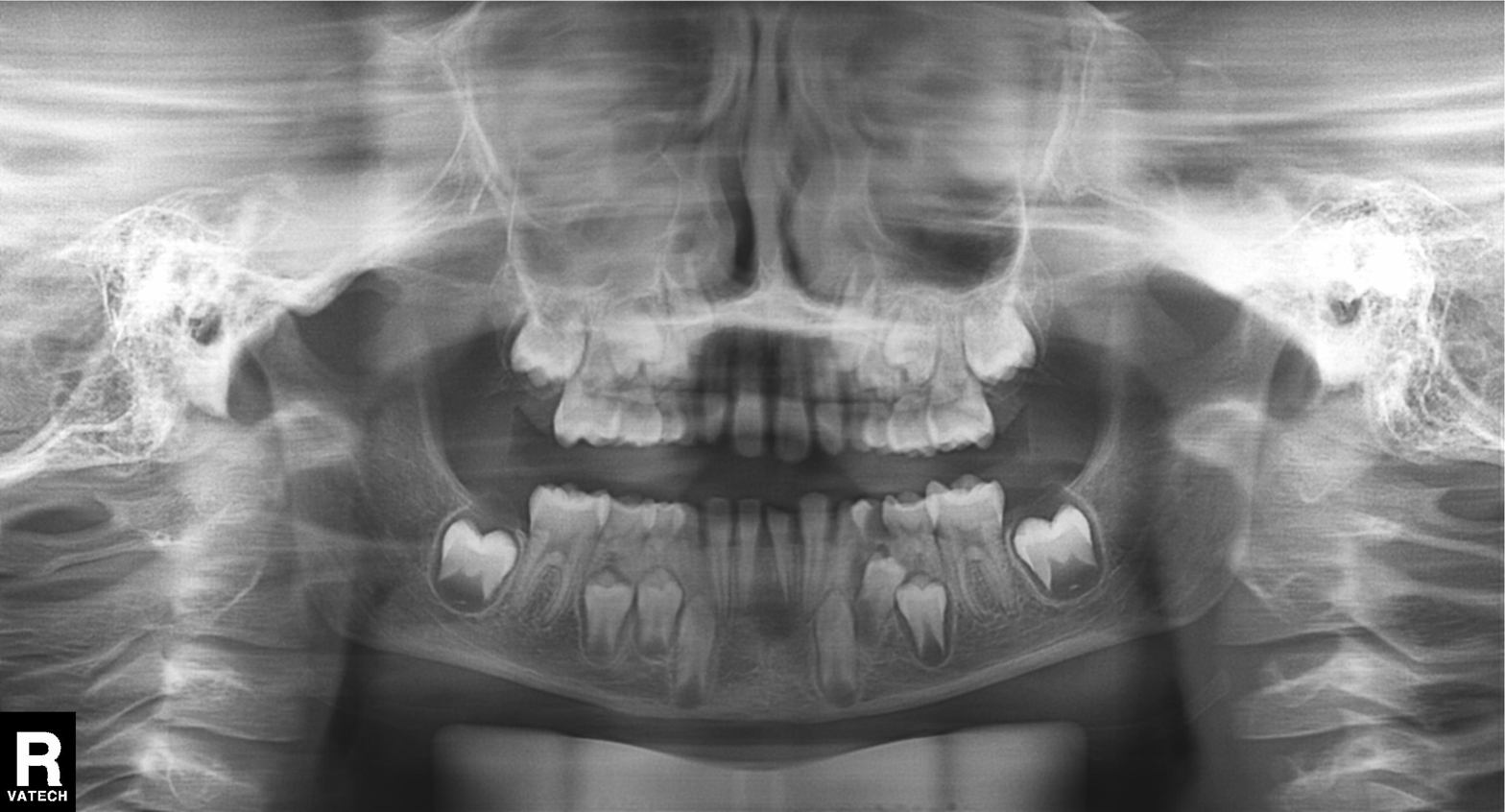
Panoramic dental radiograph (orthopantomogram). Finding: alveolar bone loss.